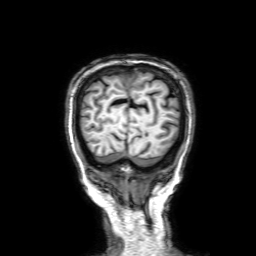
Summary:
3 Tesla brain MRI. Series: 3D T1-weighted with SENSE. Study: ring-enhancing brain masses.